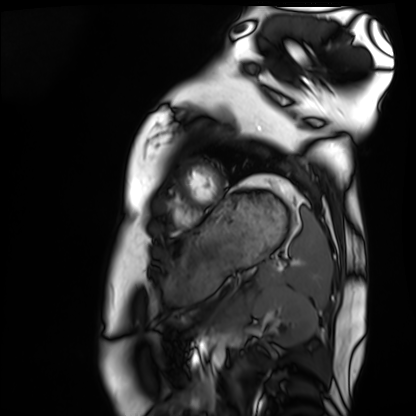
Q: What kind of scan is this?
A: Cardiac MRI.
Subject group: healthy volunteer.